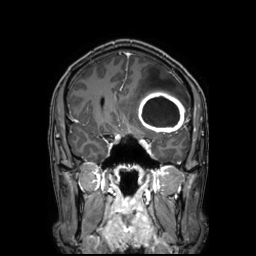
3 Tesla brain MRI.
Series: 3D T1-weighted TFE with SENSE.
Study: ring-enhancing brain masses.